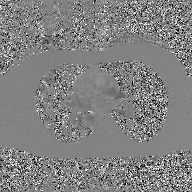
Q: What kind of scan is this?
A: 2D phase-contrast cine MRI of the ascending aorta, GAN super-resolution reconstruction.